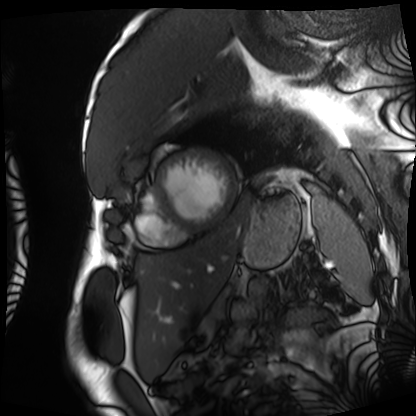
Case:
– modality — cardiac MRI
– subject group — patient